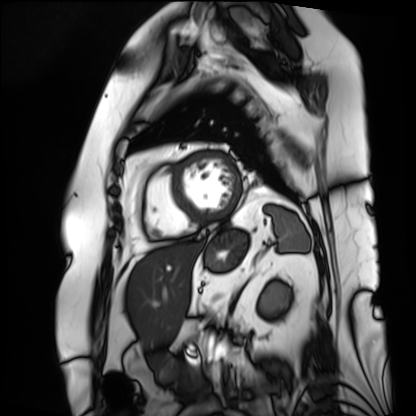
Cardiac MRI. Subject group: patient.